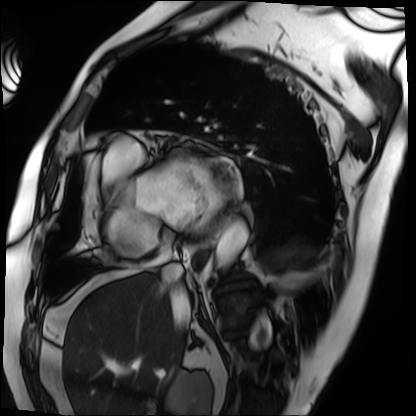
modality: cardiac MRI
cohort: patient